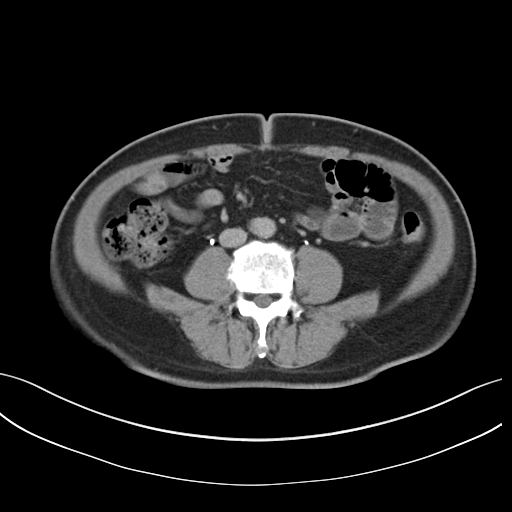
| field | value |
|---|---|
| modality | multiphase abdominal CT, liver, delayed phase |
| patient | male, age 61 |